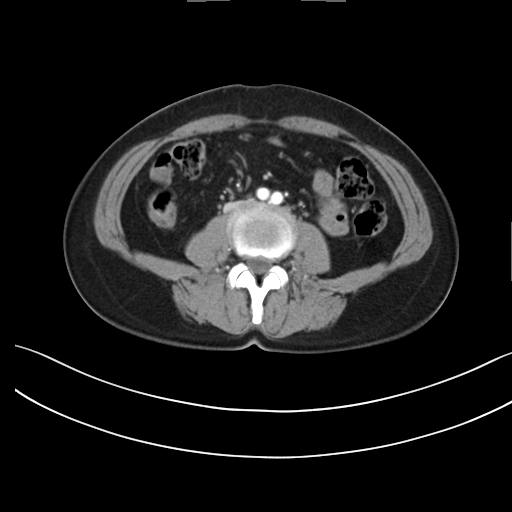
* modality: multiphase abdominal CT, liver, arterial phase
* patient: female, age 47
* history: prior chemotherapy